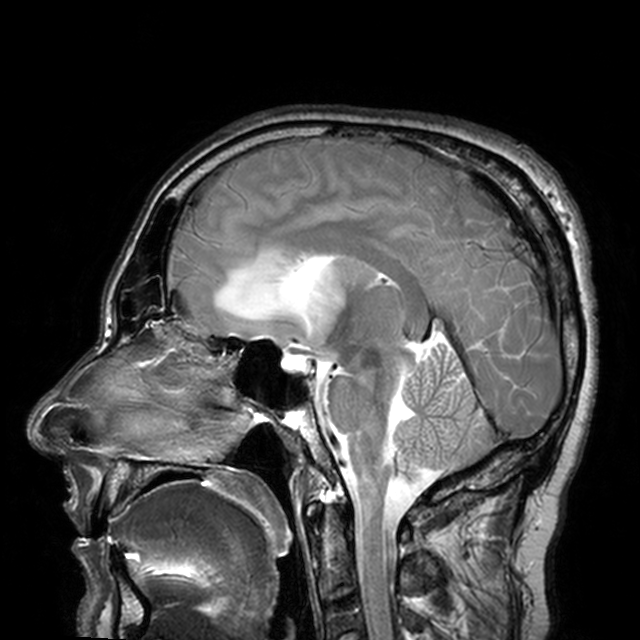
Clinical context:
3 Tesla brain MRI. Series: T2-weighted turbo spin echo with CLEAR. Study: ring-enhancing brain masses.